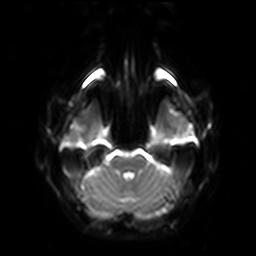
3 Tesla brain MRI.
Series: diffusion-weighted imaging with SENSE (WIP).
Study: ring-enhancing brain masses.